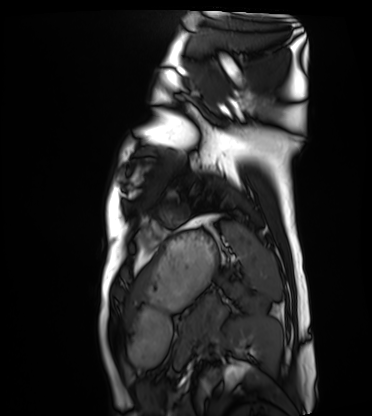
Summary:
Cardiac MRI. Subject group: healthy volunteer.